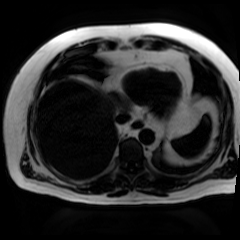
Case:
* modality: chemical-shift-encoded cardiac MRI